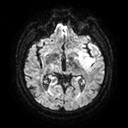
Summary: 3 Tesla brain MRI. Series: diffusion tensor imaging (medium iso). Study: ring-enhancing brain masses.